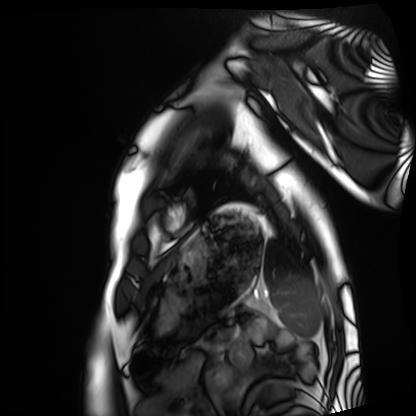
Summary:
Cardiac MRI. Subject group: healthy volunteer.